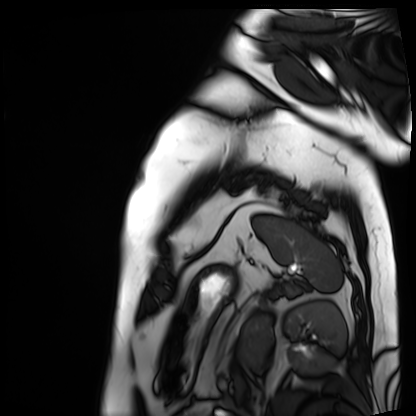
Summary: Cardiac MRI. Subject group: patient.